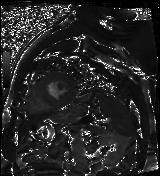
Case summary: Cardiac MR image of the myocardium. Subject cohort: cardiac patient.